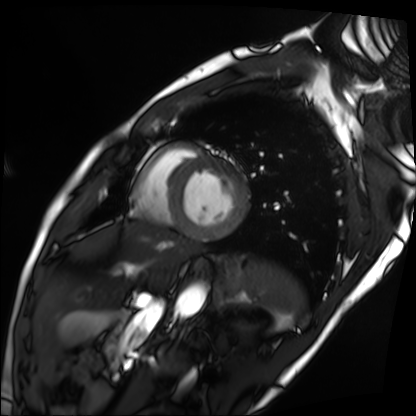
modality = cardiac MRI; subject group = patient.